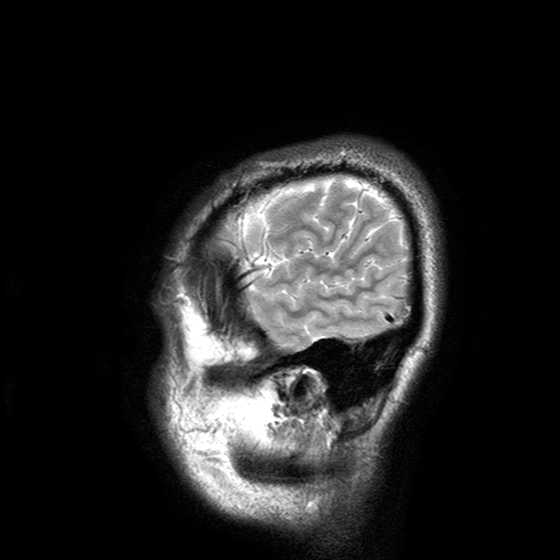
Case:
• modality — 3 Tesla brain MRI
• series — T2-weighted turbo spin echo with SENSE
• study — ring-enhancing brain masses